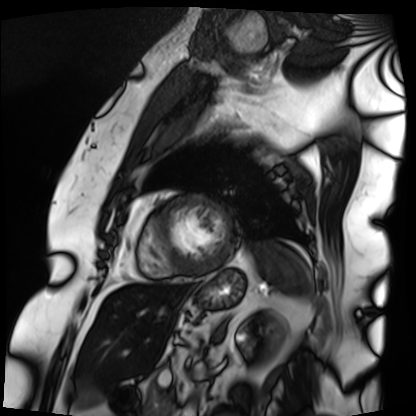
Summary: Cardiac MRI. Subject group: patient.